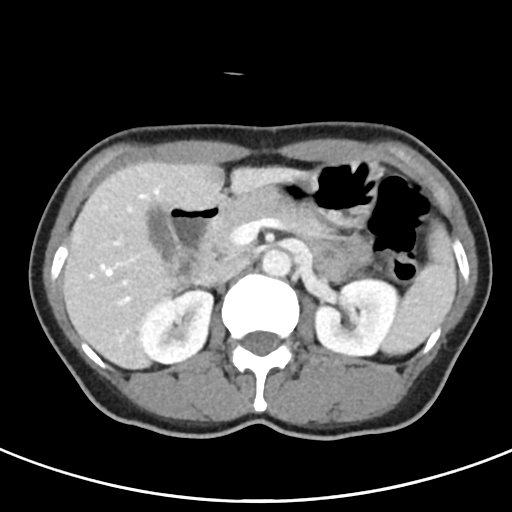
Summary:
Multiphase abdominal CT, liver, portal venous phase. Patient: female, age 53. History: viral hepatitis.